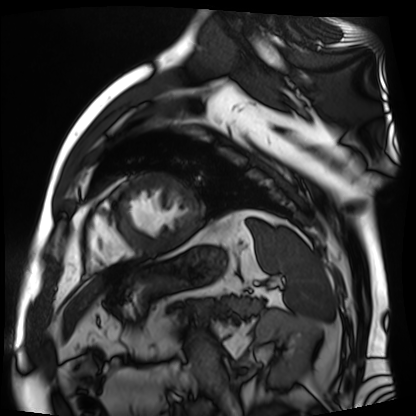
Cardiac MR image of the myocardium. Subject cohort: cardiac patient.